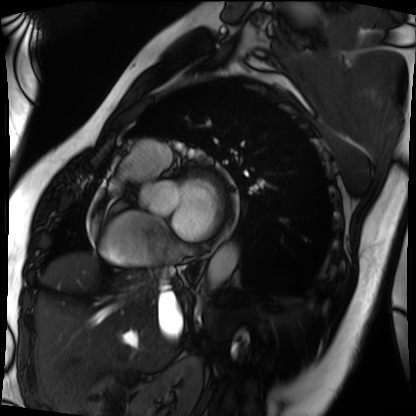
Summary:
Cardiac MRI. Subject group: patient.